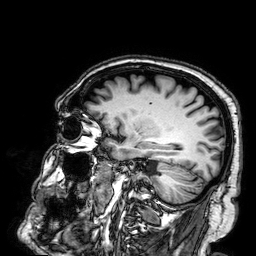
3 Tesla brain MRI. Series: 3D T1-weighted. Study: ring-enhancing brain masses.